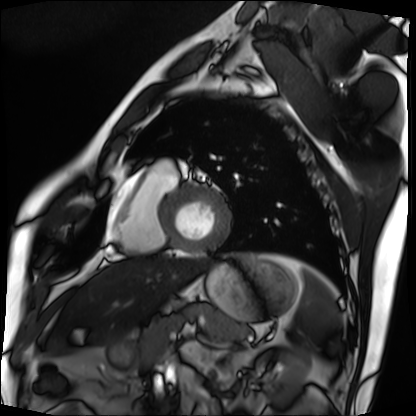
Cardiac MRI.
Subject group: patient.